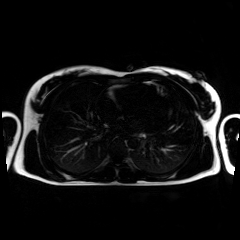
modality: chemical-shift-encoded cardiac MRI.